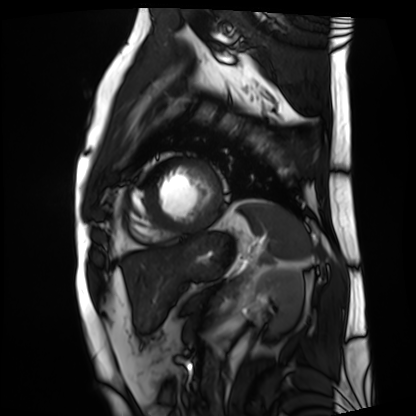
Clinical context: Cardiac MRI. Subject group: patient.